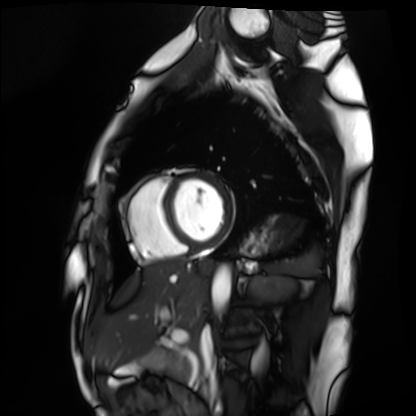
Summary: Cardiac MRI. Subject group: healthy volunteer.